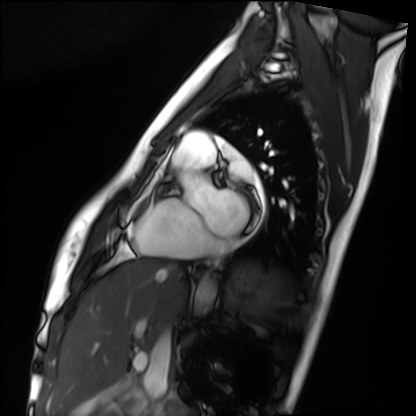
Cardiac MRI. Subject group: healthy volunteer.